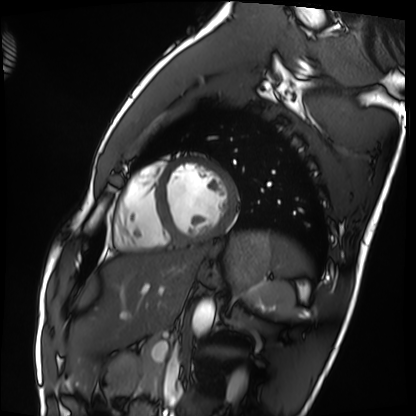
Cardiac MRI.
Subject group: healthy volunteer.